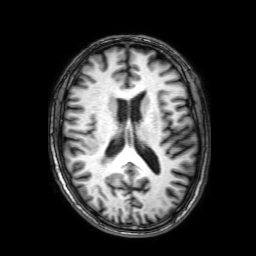
3 Tesla brain MRI. Series: 3D T1-weighted with SENSE. Study: ring-enhancing brain masses.